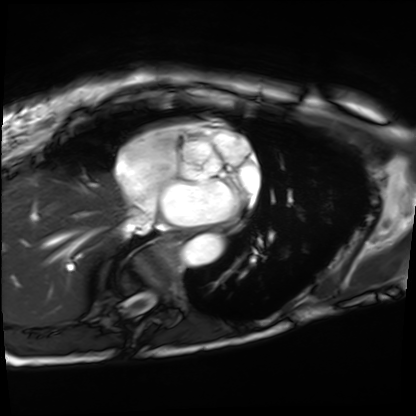
modality: cardiac MRI
subject group: patient